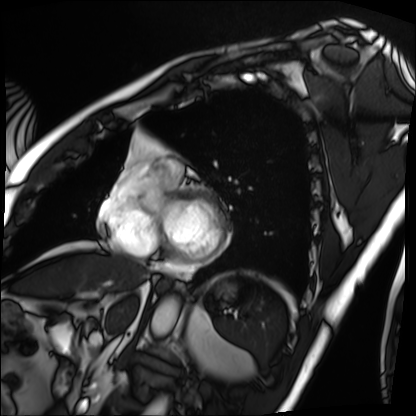
Cardiac MRI. Subject group: patient.